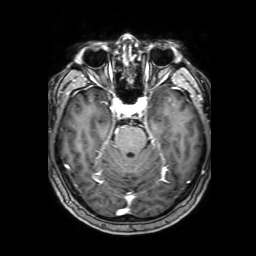
• modality — 3 Tesla brain MRI
• series — 3D T1-weighted with SENSE
• study — ring-enhancing brain masses